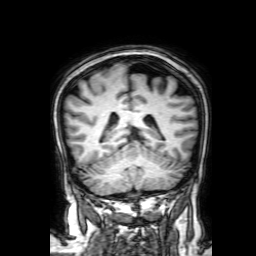
3 Tesla brain MRI.
Series: 3D T1-weighted with SENSE.
Study: ring-enhancing brain masses.